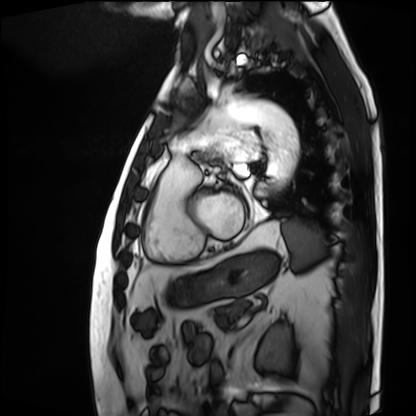
Q: What kind of scan is this?
A: Cardiac MRI.
Subject group: patient.